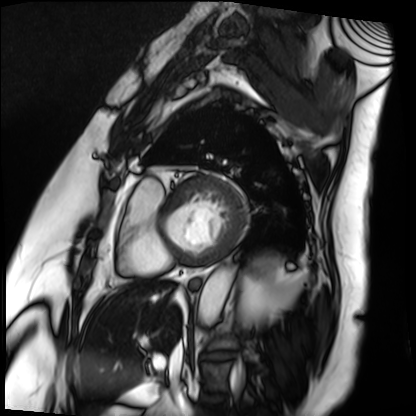
modality: cardiac MRI
subject group: patient